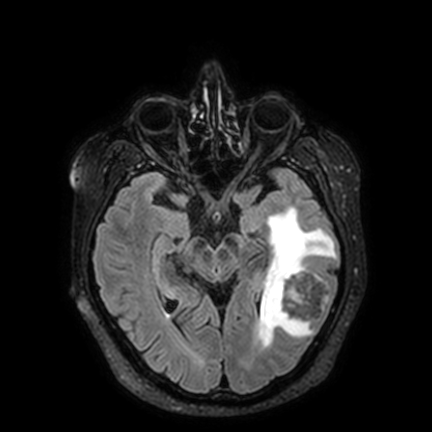
<study>
  <modality>
    <type>brain MRI</type>
    <field_strength>3T</field_strength>
  </modality>
  <series>FLAIR VISTA with SENSE</series>
  <study_topic>ring-enhancing brain masses</study_topic>
</study>